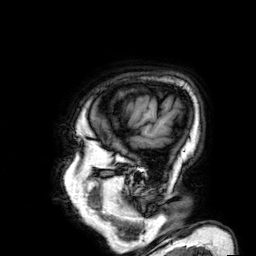
modality = 3 Tesla brain MRI; series = 3D T1-weighted; study = ring-enhancing brain masses.